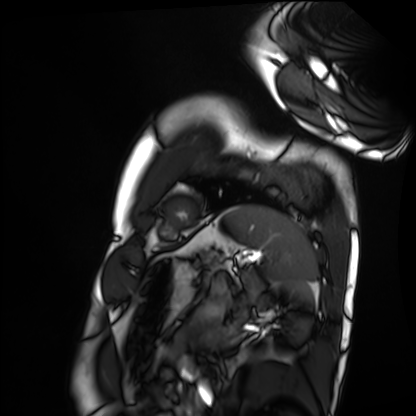
Cardiac MRI. Subject group: healthy volunteer.